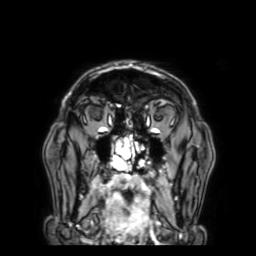
<case>
<modality>
  <type>brain MRI</type>
  <field_strength>3T</field_strength>
</modality>
<series>3D T1-weighted with SENSE</series>
<study_topic>ring-enhancing brain masses</study_topic>
</case>